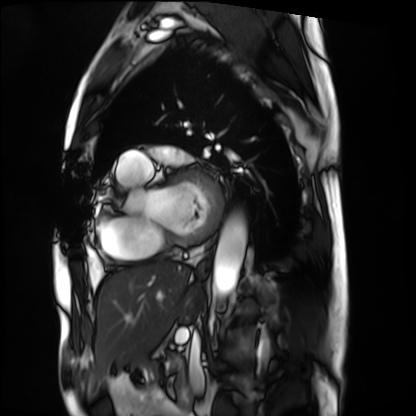
Cardiac MRI.
Subject group: patient.